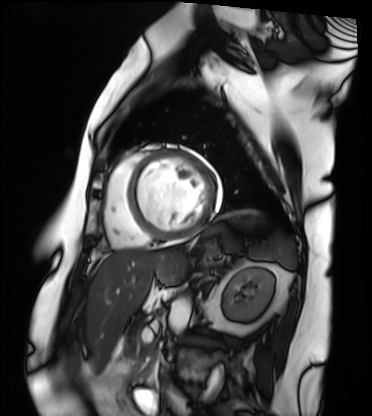
Cardiac MRI.
Subject group: patient.